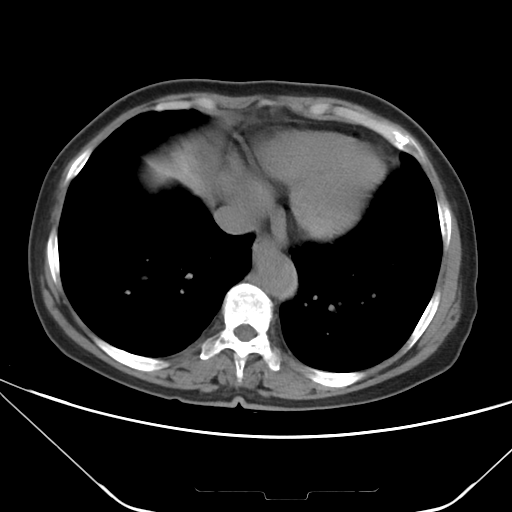
Multiphase abdominal CT, liver, non-contrast phase.